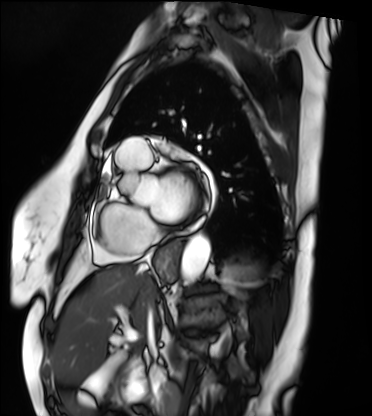
Cardiac MRI.
Subject group: patient.